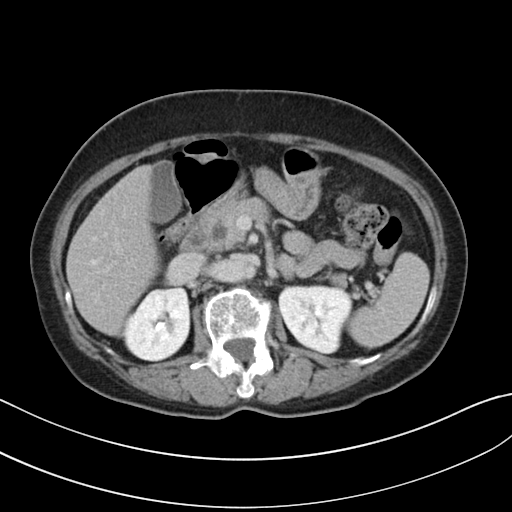
modality = multiphase abdominal CT, liver, delayed phase
patient = female, age 62